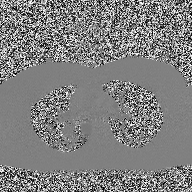
modality = 2D phase-contrast cine MRI of the ascending aorta.